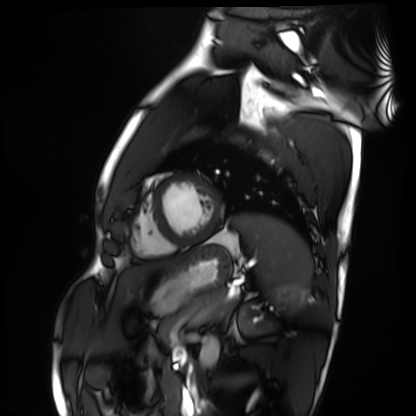
Cardiac MRI. Subject group: healthy volunteer.